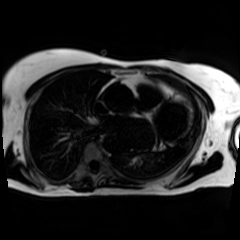
{"modality": "chemical-shift-encoded cardiac MRI"}